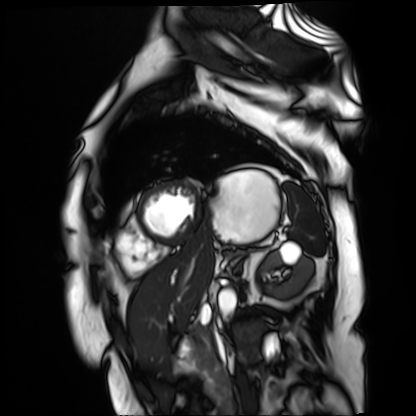
<record>
<modality>cardiac MR image of the myocardium</modality>
<cohort>cardiac patient</cohort>
</record>